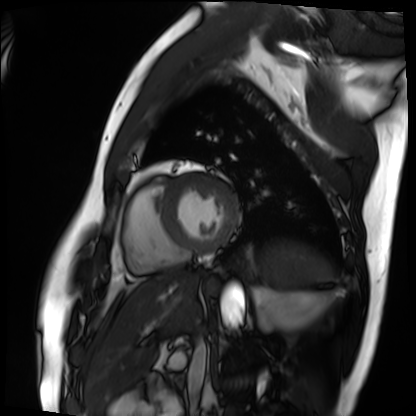
* modality · cardiac MRI
* subject group · patient